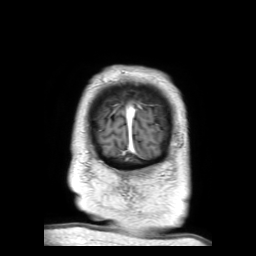
{"modality": {"type": "brain MRI", "field_strength": "3T"}, "series": "3D T1-weighted TFE with SENSE", "study_topic": "ring-enhancing brain masses"}